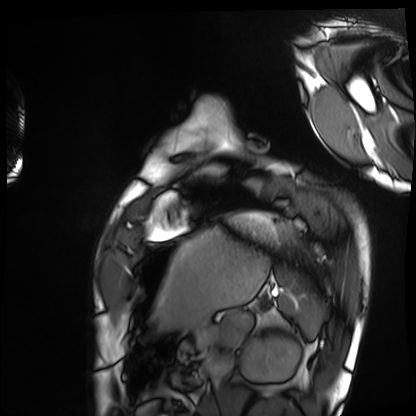
<case>
<modality>cardiac MRI</modality>
<cohort>healthy volunteer</cohort>
</case>